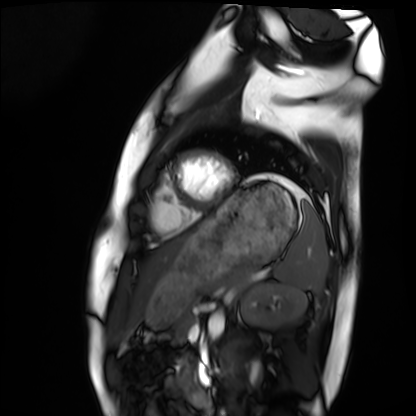
Case:
– modality: cardiac MRI
– subject group: healthy volunteer